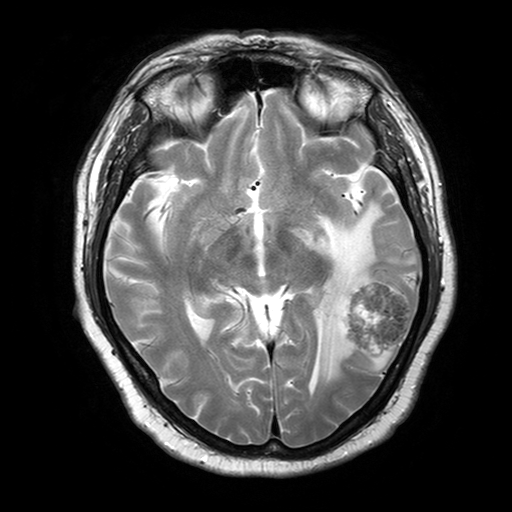
3 Tesla brain MRI. Series: T2-weighted turbo spin echo with SENSE. Study: ring-enhancing brain masses.